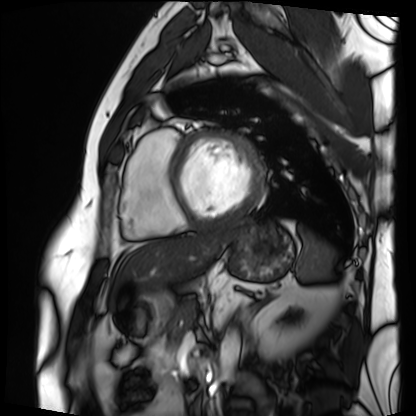
Q: What kind of scan is this?
A: Cardiac MRI.
Subject group: patient.